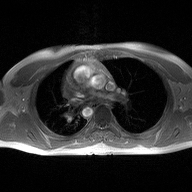
– modality · 2D phase-contrast cine MRI of the ascending aorta